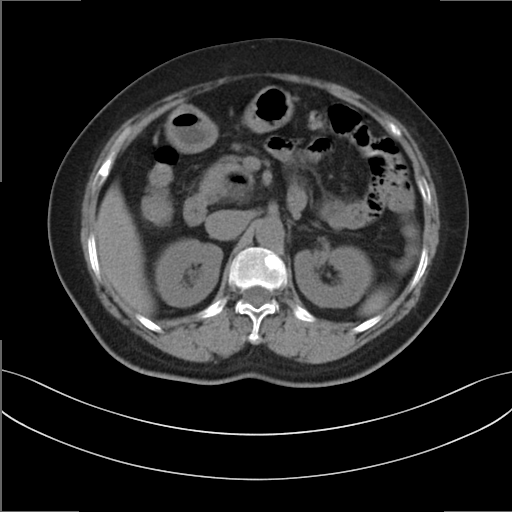
Multiphase abdominal CT, liver, non-contrast phase. Patient: female, age 58. History: prior chemotherapy.